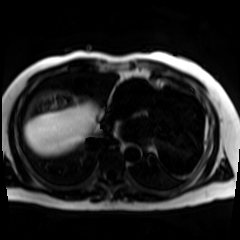
{
  "modality": "chemical-shift-encoded cardiac MRI"
}